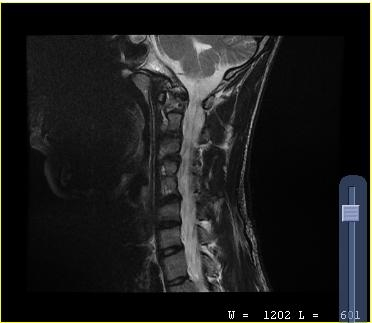
| field | value |
|---|---|
| modality | MRI of the cervical spine |
| study | cervical spondylosis |